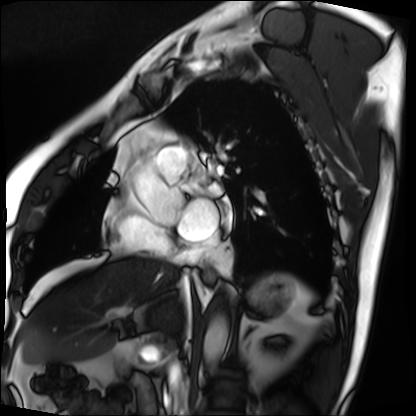
modality: cardiac MRI | subject group: patient.